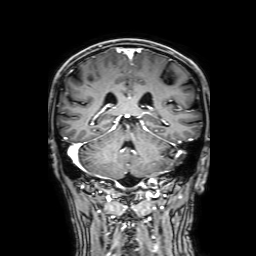
modality: 3 Tesla brain MRI | study: ring-enhancing brain masses.